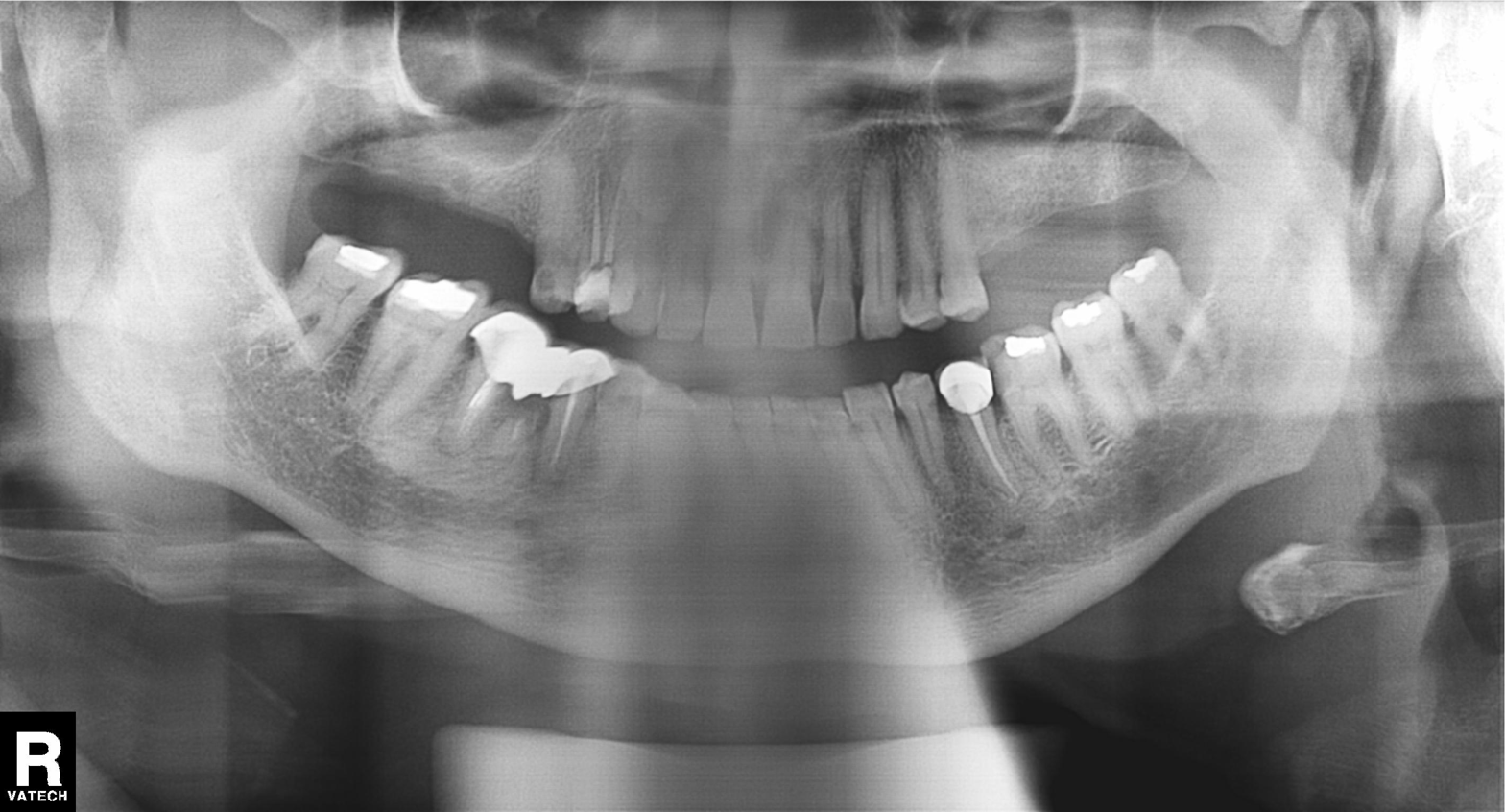
<study>
<modality>panoramic dental radiograph (orthopantomogram)</modality>
<finding>tooth impaction</finding>
</study>